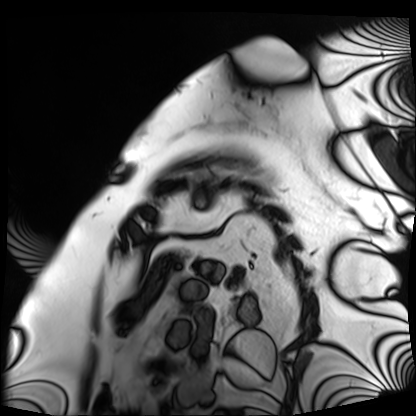
Cardiac MRI. Subject group: patient.